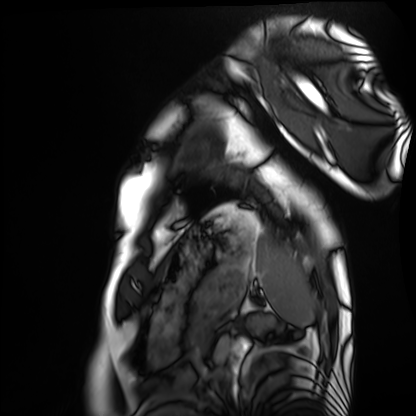
Q: What kind of scan is this?
A: Cardiac MRI.
Subject group: healthy volunteer.